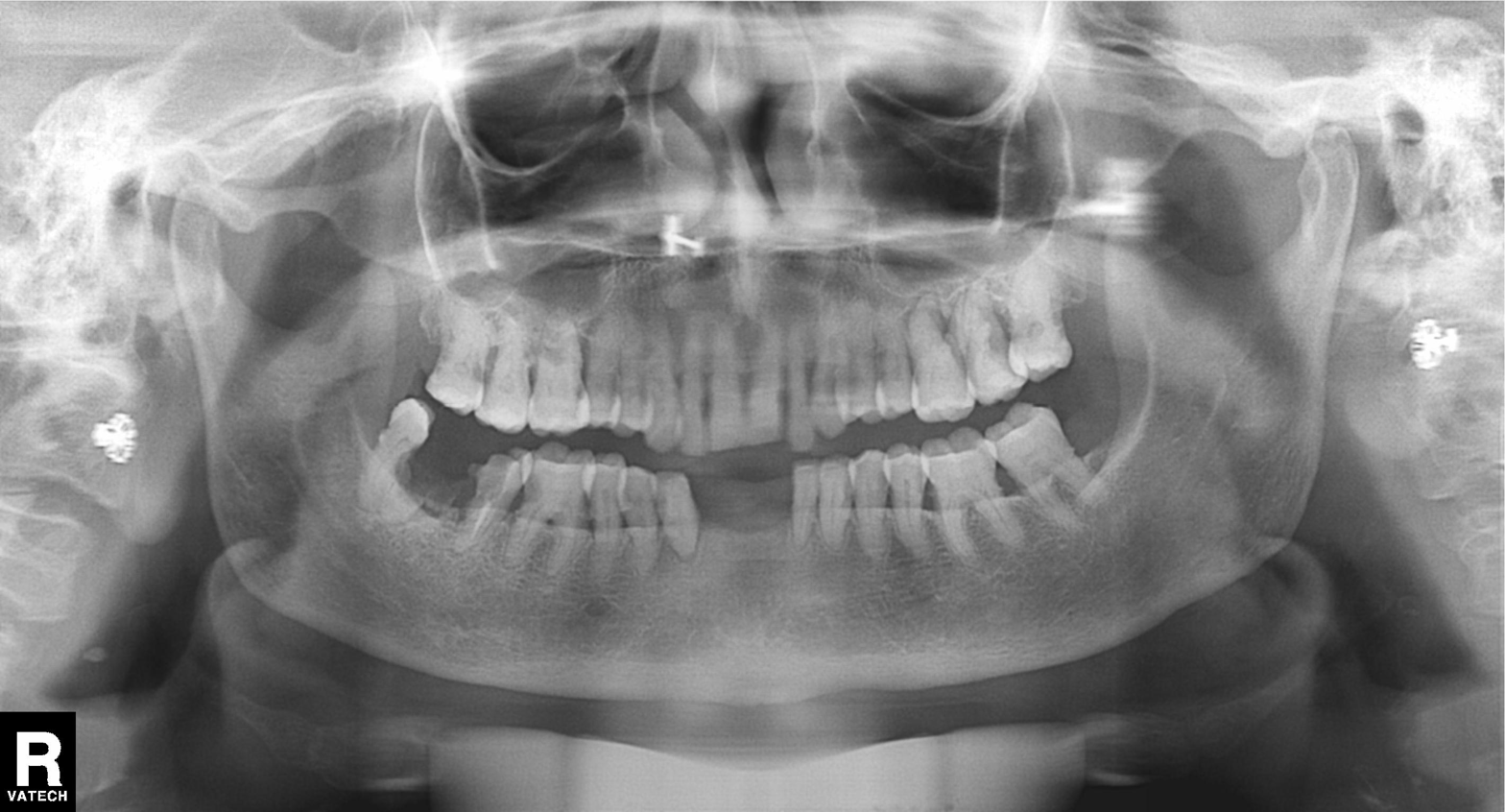
<scan>
  <modality>panoramic dental radiograph (orthopantomogram)</modality>
  <finding>alveolar bone loss</finding>
</scan>